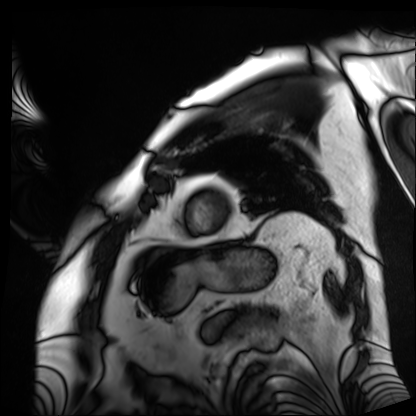
Summary: Cardiac MRI. Subject group: patient.